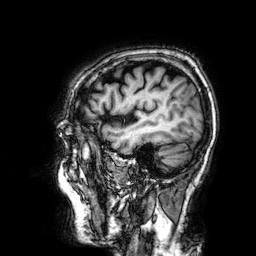
3 Tesla brain MRI. Study: ring-enhancing brain masses.